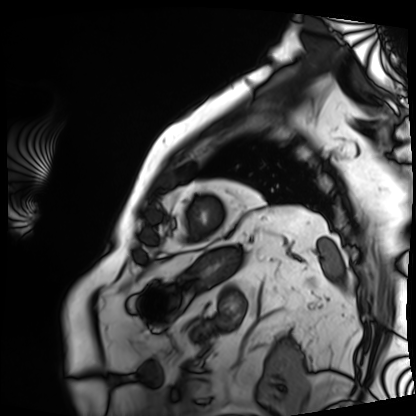
Cardiac MRI. Subject group: patient.